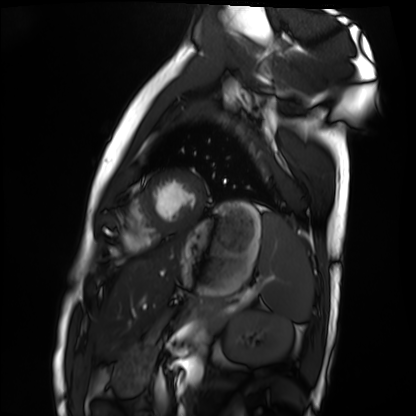
Cardiac MRI.
Subject group: healthy volunteer.